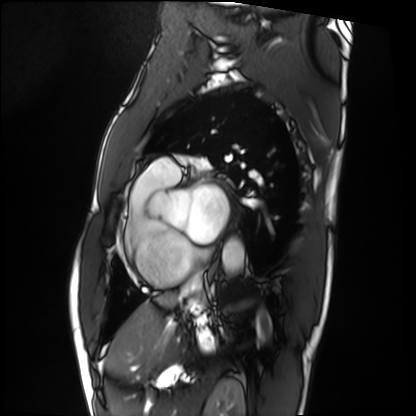
modality: cardiac MRI
subject group: patient